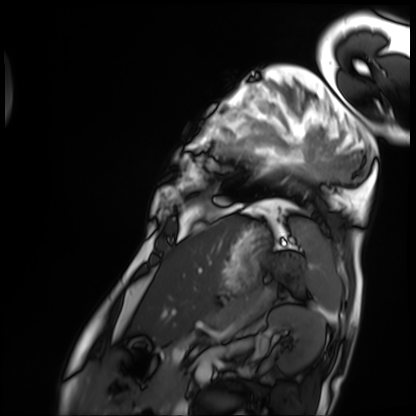
Cardiac MRI. Subject group: patient.